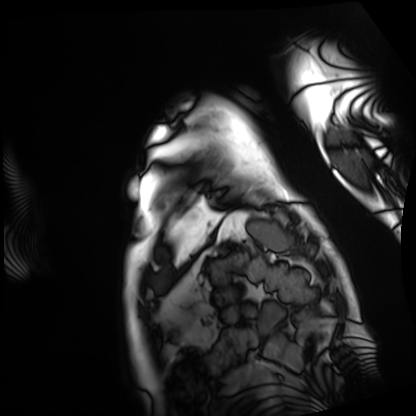
modality: cardiac MRI
cohort: patient